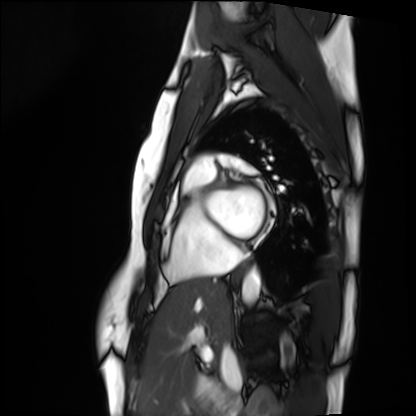
{"modality": "cardiac MRI", "cohort": "healthy volunteer"}